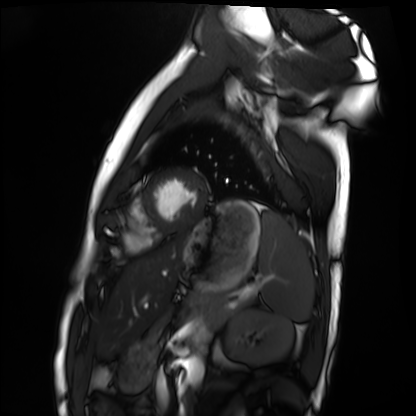
  modality: cardiac MRI
  cohort: healthy volunteer